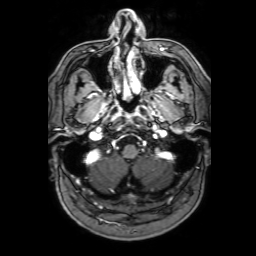
Summary: 3 Tesla brain MRI. Series: 3D T1-weighted with SENSE. Study: ring-enhancing brain masses.